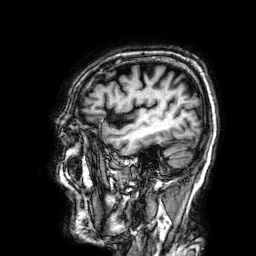
Q: What kind of scan is this?
A: 3 Tesla brain MRI.
Q: Series?
A: 3D T1-weighted.
Study: ring-enhancing brain masses.